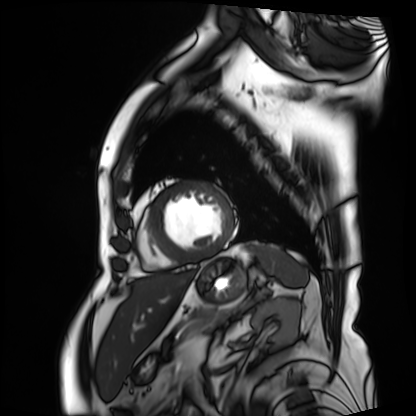
Clinical context:
Cardiac MRI. Subject group: patient.